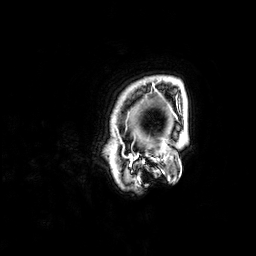
3 Tesla brain MRI. Series: 3D T1-weighted. Study: ring-enhancing brain masses.